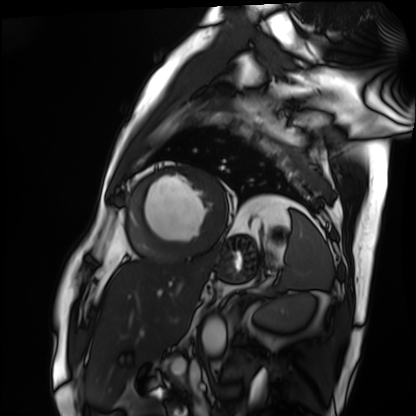
modality — cardiac MRI; subject group — patient.